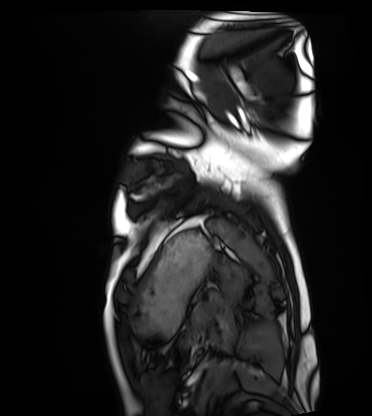
| field | value |
|---|---|
| modality | cardiac MRI |
| subject group | healthy volunteer |